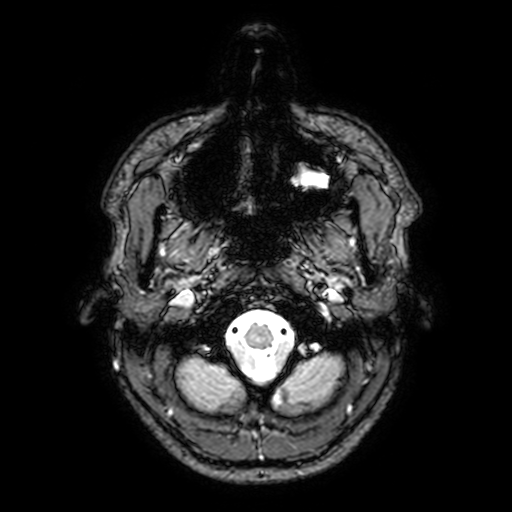
3 Tesla brain MRI. Series: T2-weighted fast field echo with SENSE. Study: ring-enhancing brain masses.